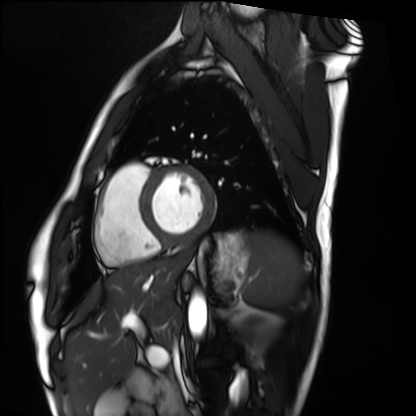
Cardiac MRI. Subject group: healthy volunteer.